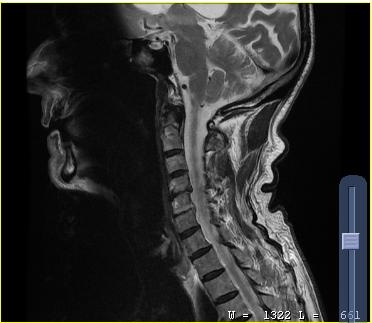
modality = MRI of the cervical spine
study = cervical spondylosis